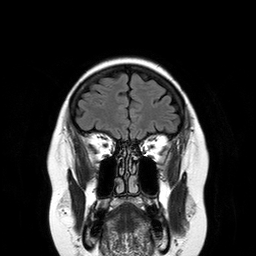
modality — 3 Tesla brain MRI
series — T2-weighted FLAIR
study — ring-enhancing brain masses